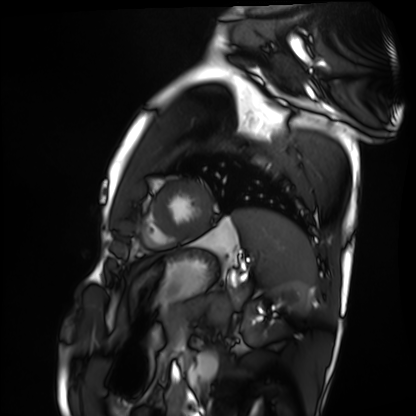
Q: What kind of scan is this?
A: Cardiac MRI.
Subject group: healthy volunteer.